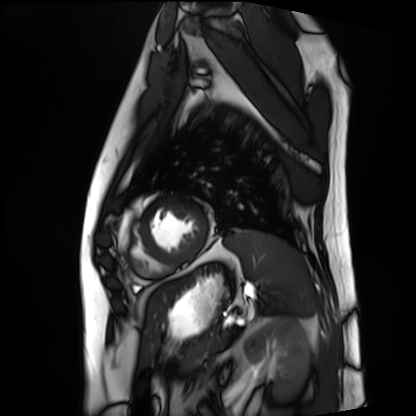
<study>
  <modality>cardiac MRI</modality>
  <cohort>patient</cohort>
</study>